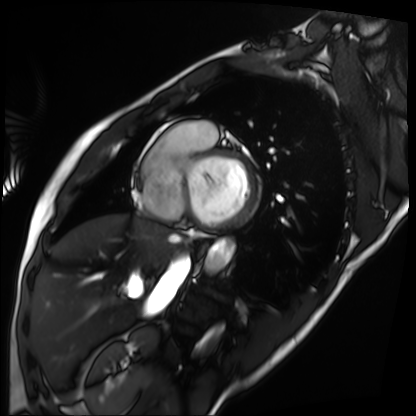
modality: cardiac MRI; subject group: patient.